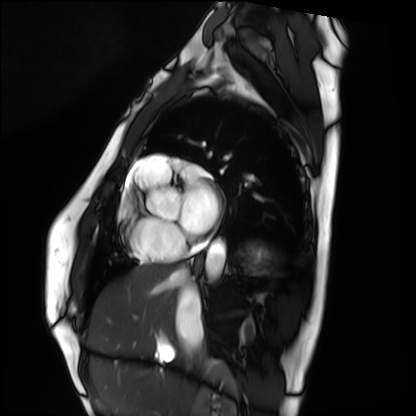
Summary:
Cardiac MRI. Subject group: healthy volunteer.